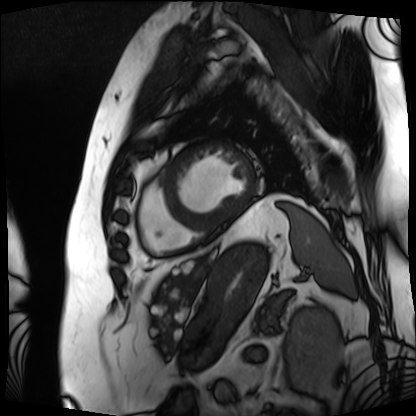
<case>
<modality>cardiac MRI</modality>
<cohort>patient</cohort>
</case>